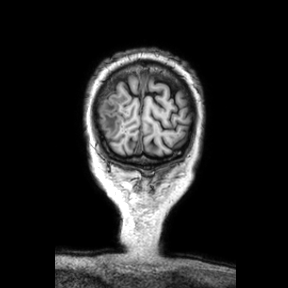
• modality — 3 Tesla brain MRI
• series — coronal
• study — ring-enhancing brain masses